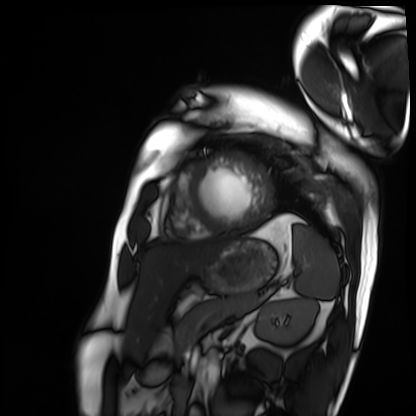
Cardiac MRI. Subject group: patient.